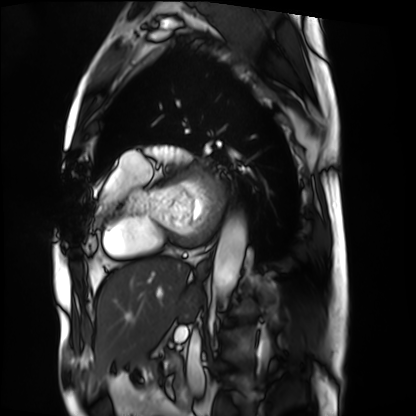
{
  "modality": "cardiac MRI",
  "cohort": "patient"
}